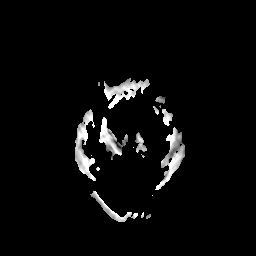
Summary:
3 Tesla brain MRI. Series: apparent diffusion coefficient (ADC) map. Study: ring-enhancing brain masses.